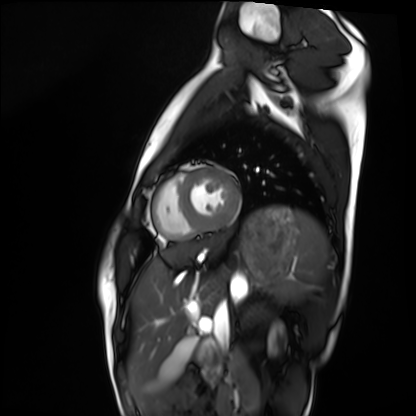
* modality · cardiac MRI
* subject group · healthy volunteer